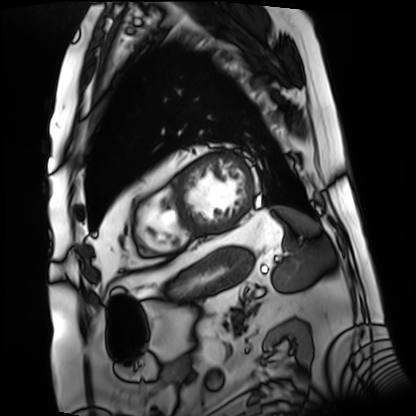
Case summary: Cardiac MRI. Subject group: patient.